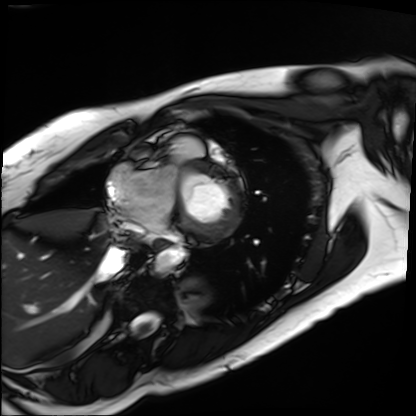
<scan>
  <modality>cardiac MRI</modality>
  <cohort>patient</cohort>
</scan>